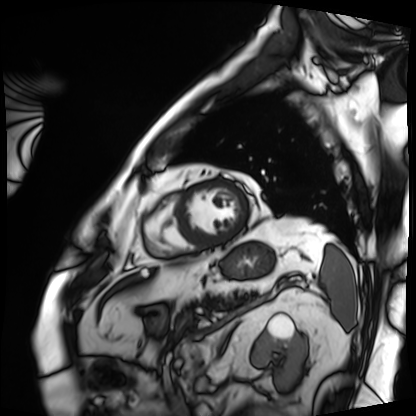
Cardiac MRI.
Subject group: patient.